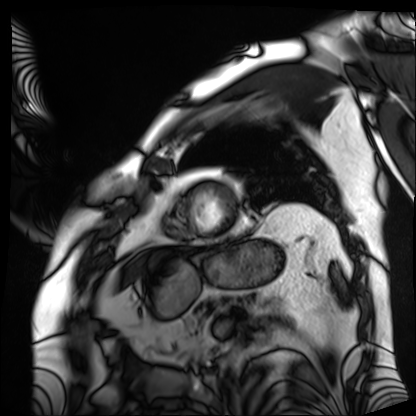
modality: cardiac MRI
subject group: patient